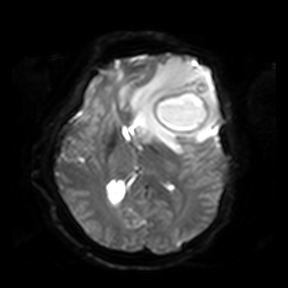
<case>
<modality>
  <type>brain MRI</type>
  <field_strength>3T</field_strength>
</modality>
<series>diffusion-weighted imaging</series>
<study_topic>ring-enhancing brain masses</study_topic>
</case>